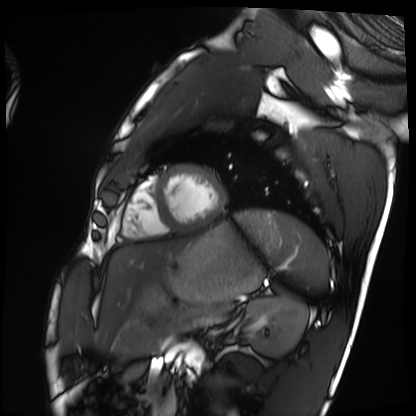
modality: cardiac MRI, subject group: healthy volunteer.